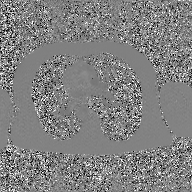
Summary: 2D phase-contrast cine MRI of the ascending aorta, GAN super-resolution reconstruction.